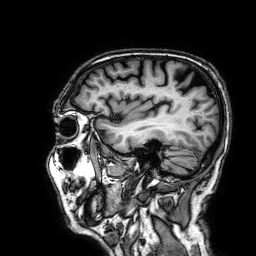
<record>
<modality>
  <type>brain MRI</type>
  <field_strength>3T</field_strength>
</modality>
<series>3D T1-weighted</series>
<study_topic>ring-enhancing brain masses</study_topic>
</record>